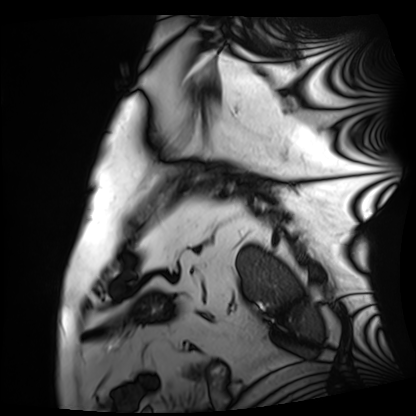
Case summary: Cardiac MRI. Subject group: patient.